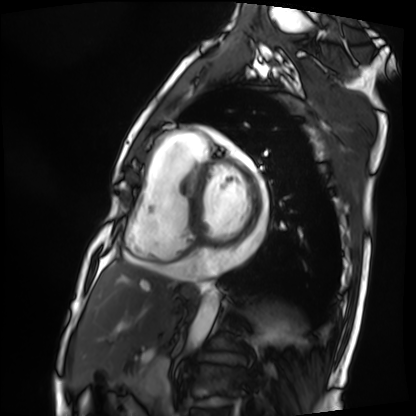
<scan>
<modality>cardiac MRI</modality>
<cohort>patient</cohort>
</scan>